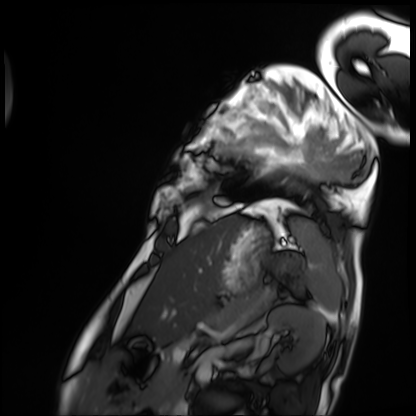
Clinical context: Cardiac MRI. Subject group: patient.